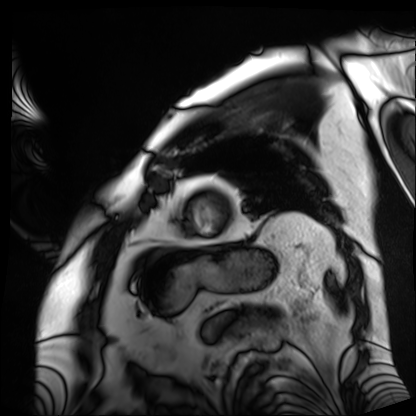
Cardiac MRI. Subject group: patient.